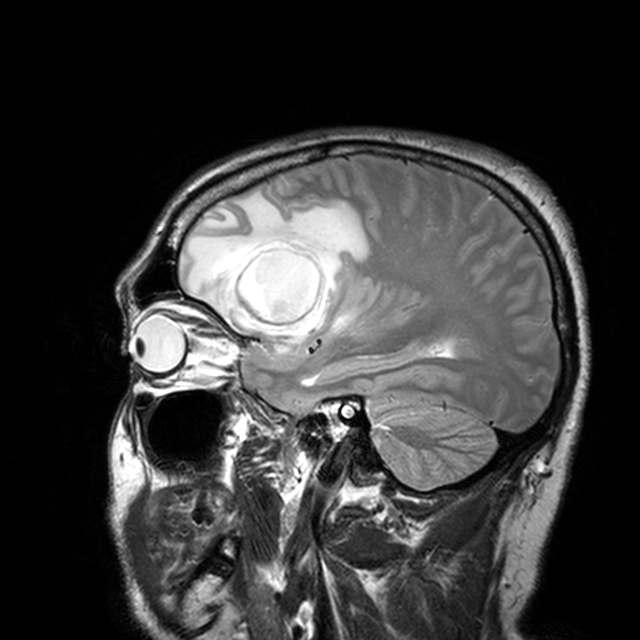
3 Tesla brain MRI.
Series: T2-weighted turbo spin echo with CLEAR.
Study: ring-enhancing brain masses.